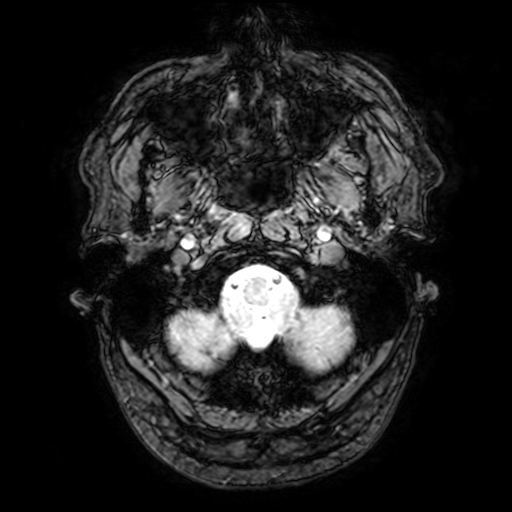
Q: What kind of scan is this?
A: 3 Tesla brain MRI.
Q: Series?
A: T2-weighted fast field echo with SENSE.
Study: ring-enhancing brain masses.